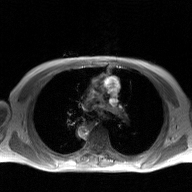
modality — 2D phase-contrast cine MRI of the ascending aorta, GAN super-resolution reconstruction.